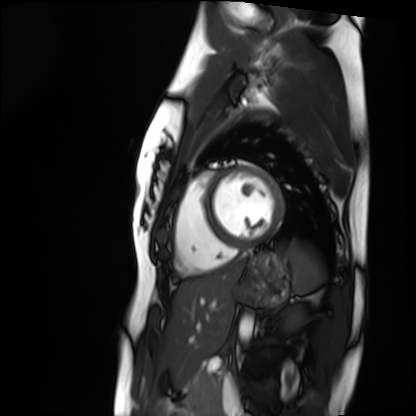
modality: cardiac MRI; subject group: healthy volunteer.